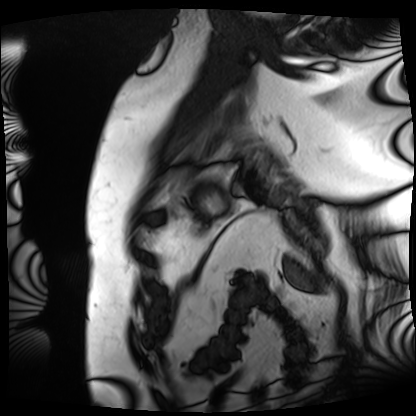
<record>
<modality>cardiac MRI</modality>
<cohort>patient</cohort>
</record>